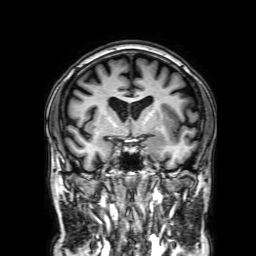
Summary:
3 Tesla brain MRI. Study: ring-enhancing brain masses.